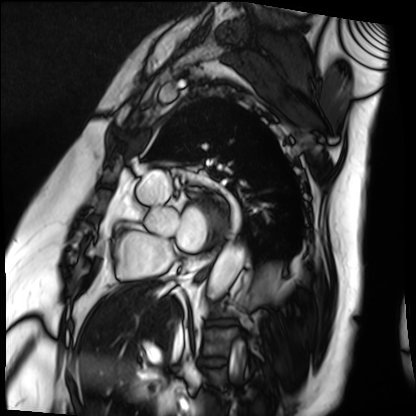
Cardiac MRI. Subject group: patient.